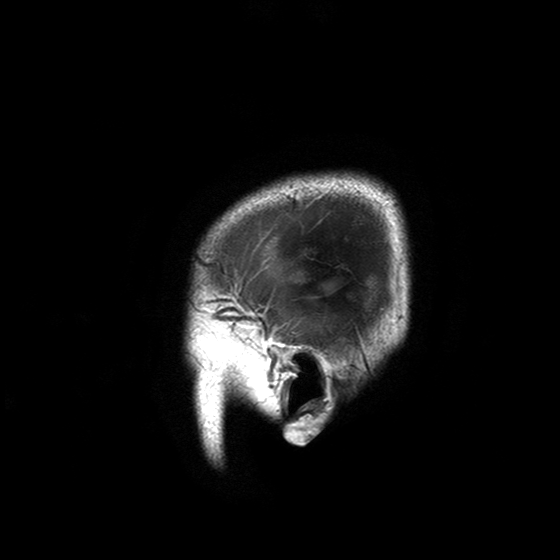
3 Tesla brain MRI. Study: ring-enhancing brain masses.